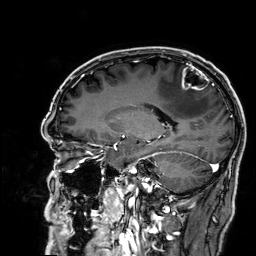
• modality: 3 Tesla brain MRI
• series: 3D T1-weighted
• study: ring-enhancing brain masses